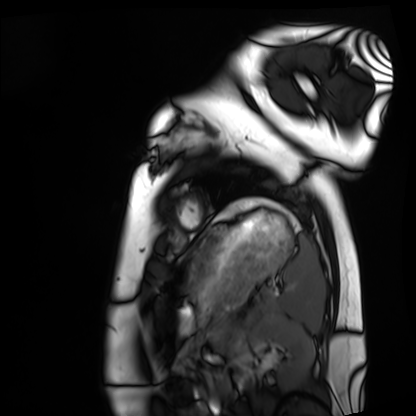
| field | value |
|---|---|
| modality | cardiac MRI |
| subject group | healthy volunteer |